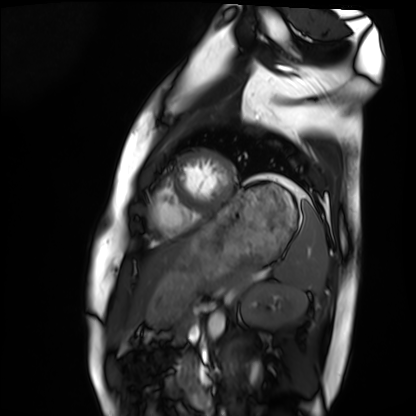
Case summary: Cardiac MRI. Subject group: healthy volunteer.